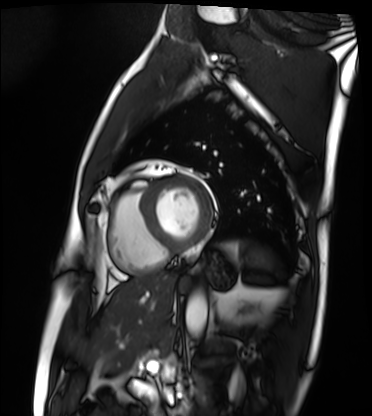
Cardiac MRI.
Subject group: patient.